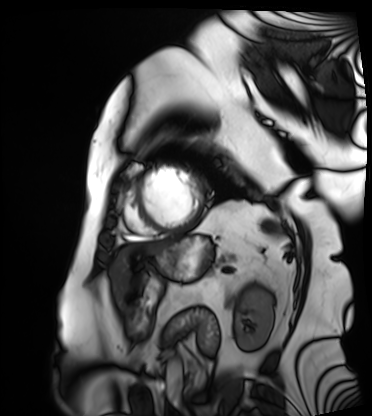
Cardiac MRI.
Subject group: patient.